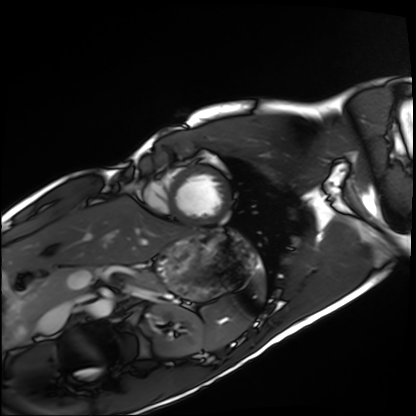
{"modality": "cardiac MRI", "cohort": "healthy volunteer"}